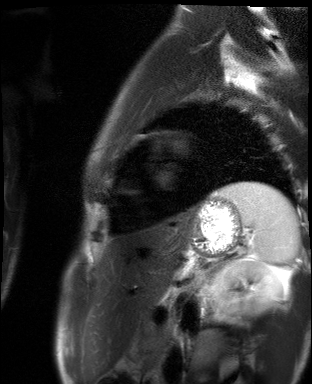
Cardiac MR image of the myocardium.
Subject cohort: healthy volunteer.